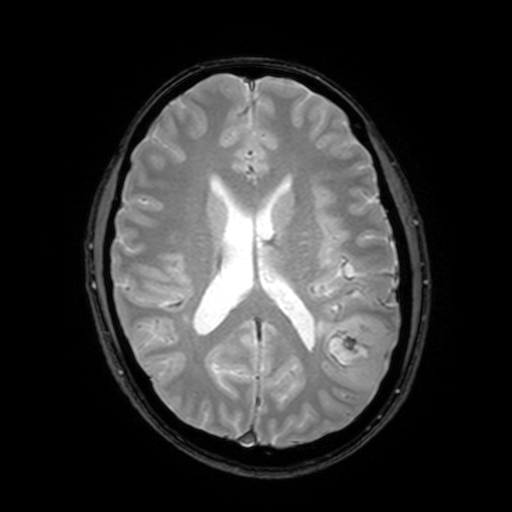
Q: What kind of scan is this?
A: 3 Tesla brain MRI.
Q: Series?
A: T2-weighted fast field echo with SENSE.
Study: ring-enhancing brain masses.